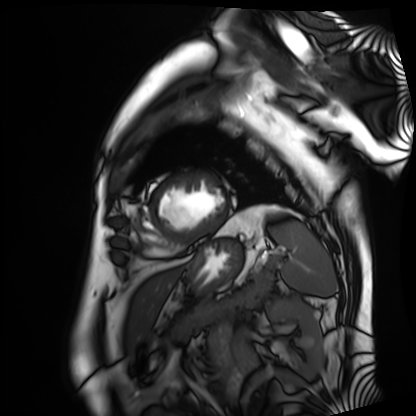
Cardiac MRI.
Subject group: patient.